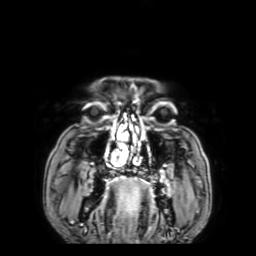
3 Tesla brain MRI.
Series: 3D T1-weighted with SENSE.
Study: ring-enhancing brain masses.